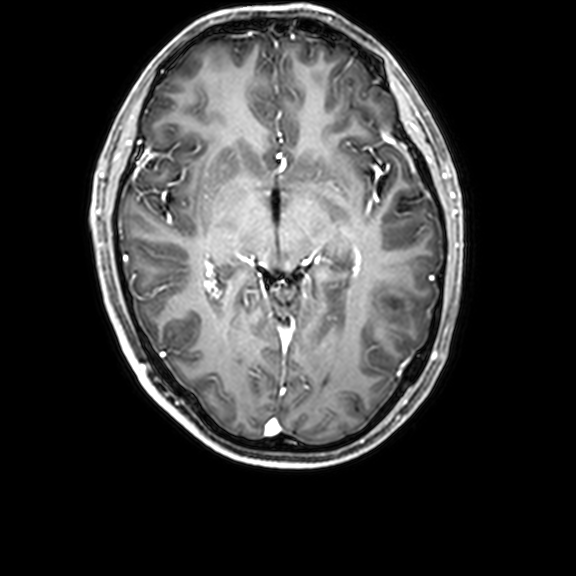
3 Tesla brain MRI.
Study: ring-enhancing brain masses.